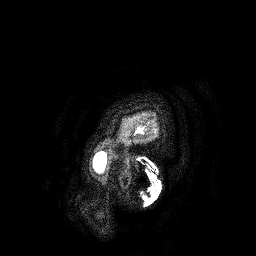
Case:
• modality: 3 Tesla brain MRI
• series: 3D T1-weighted turbo field echo
• study: ring-enhancing brain masses